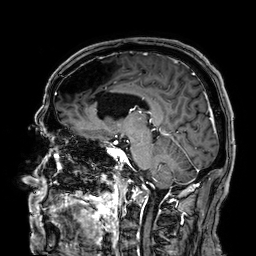
| field | value |
|---|---|
| modality | 3 Tesla brain MRI |
| series | 3D T1-weighted |
| study | ring-enhancing brain masses |